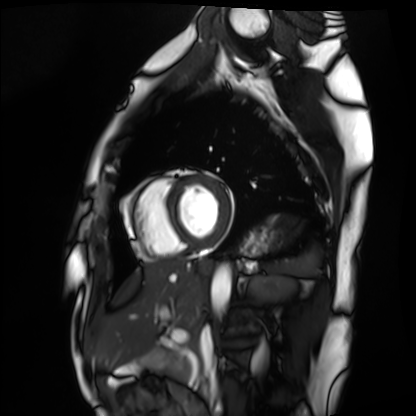
Case summary:
Cardiac MRI. Subject group: healthy volunteer.